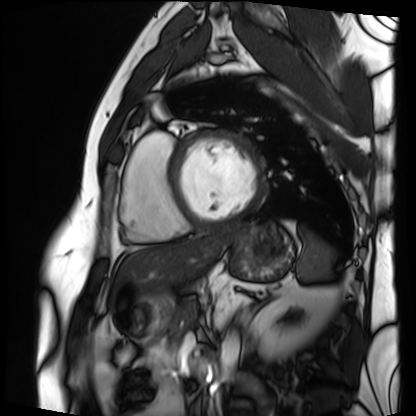
Cardiac MRI.
Subject group: patient.